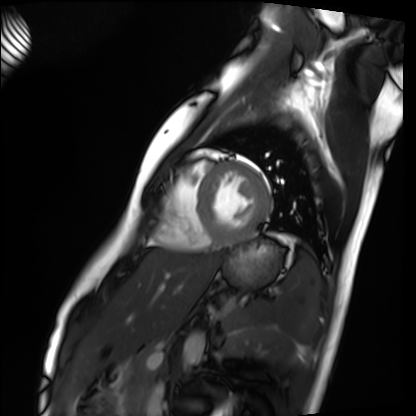
| field | value |
|---|---|
| modality | cardiac MRI |
| subject group | healthy volunteer |